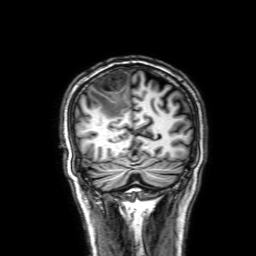
<record>
  <modality>
    <type>brain MRI</type>
    <field_strength>3T</field_strength>
  </modality>
  <series>3D T1-weighted with SENSE</series>
  <study_topic>ring-enhancing brain masses</study_topic>
</record>